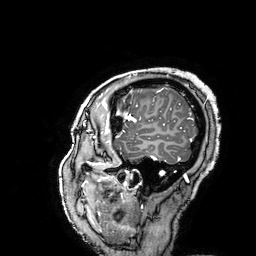
3 Tesla brain MRI.
Series: 3D T1-weighted turbo field echo with SENSE.
Study: ring-enhancing brain masses.